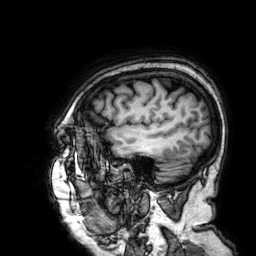
Q: What kind of scan is this?
A: 3 Tesla brain MRI.
Q: Series?
A: 3D T1-weighted.
Study: ring-enhancing brain masses.